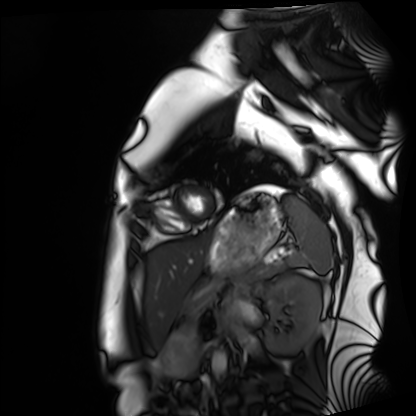
Cardiac MRI. Subject group: healthy volunteer.